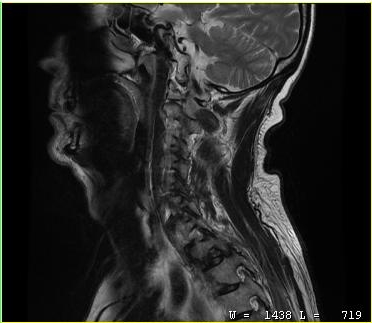
modality: MRI of the cervical spine; study: cervical spondylosis.